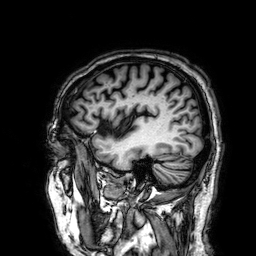
3 Tesla brain MRI. Series: 3D T1-weighted. Study: ring-enhancing brain masses.